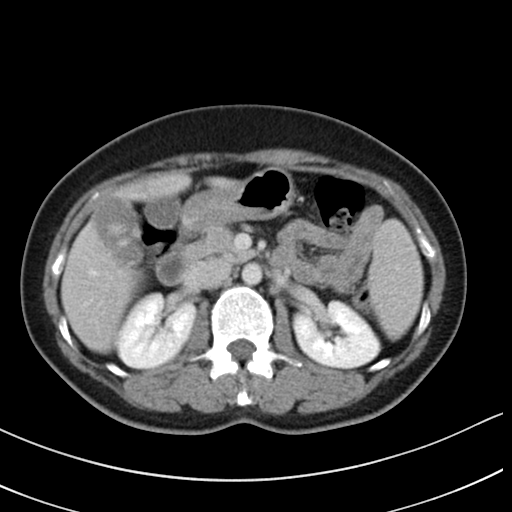
* modality — multiphase abdominal CT, liver, delayed phase
* patient — female, age 46